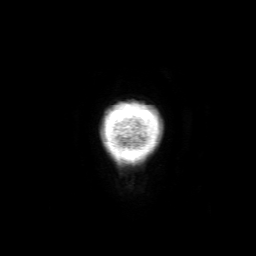
Summary:
3 Tesla brain MRI. Series: 3D T1-weighted with SENSE. Study: ring-enhancing brain masses.